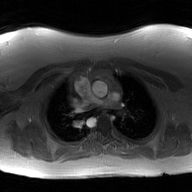
| field | value |
|---|---|
| modality | 2D phase-contrast cine MRI of the ascending aorta, GAN super-resolution reconstruction |